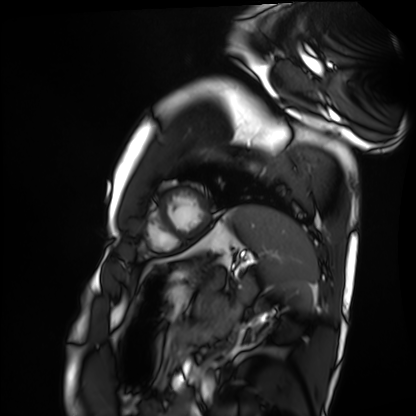
<case>
  <modality>cardiac MRI</modality>
  <cohort>healthy volunteer</cohort>
</case>